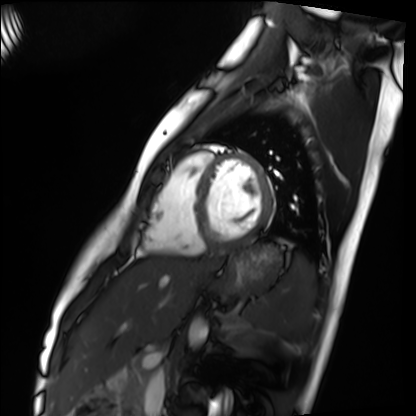
Case summary:
Cardiac MRI. Subject group: healthy volunteer.